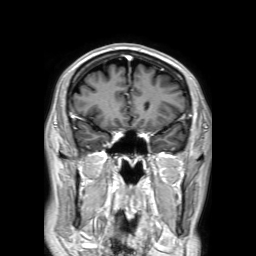
Clinical context: 3 Tesla brain MRI. Series: 3D T1-weighted TFE with SENSE. Study: ring-enhancing brain masses.